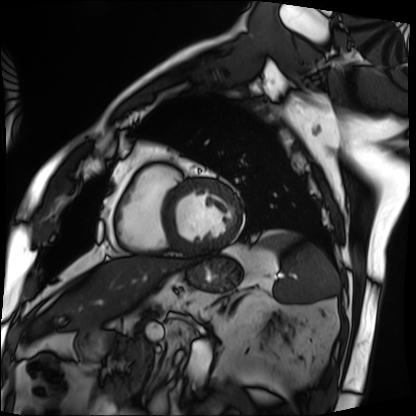
Cardiac MRI. Subject group: patient.